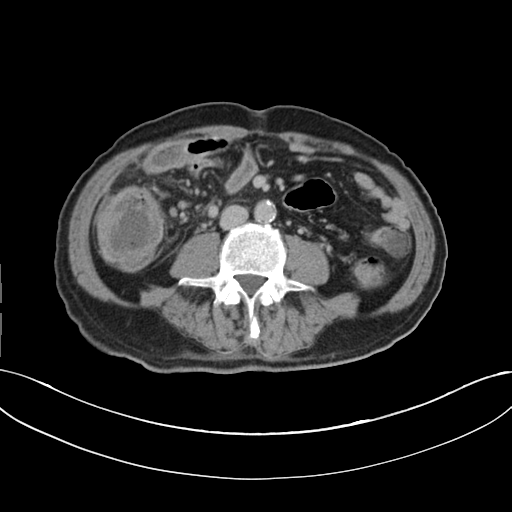
Multiphase abdominal CT, liver, delayed phase. Patient: male, age 60.